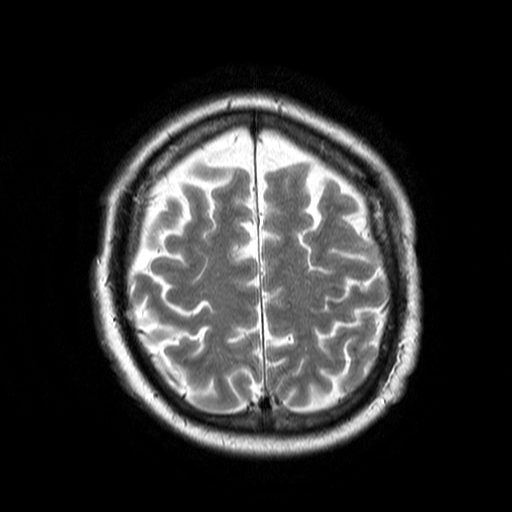
3 Tesla brain MRI.
Series: T2-weighted turbo spin echo.
Study: ring-enhancing brain masses.